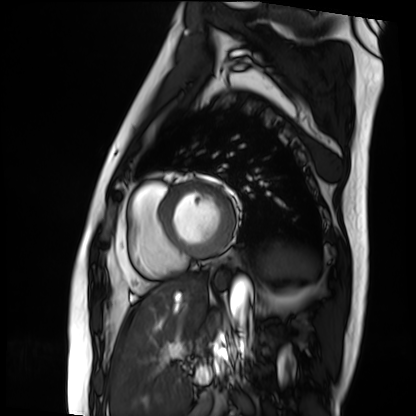
Q: What kind of scan is this?
A: Cardiac MRI.
Subject group: patient.